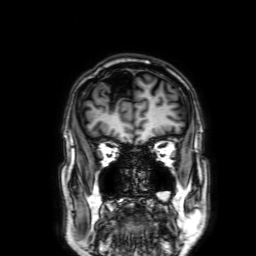
Summary:
3 Tesla brain MRI. Series: 3D T1-weighted with SENSE. Study: ring-enhancing brain masses.